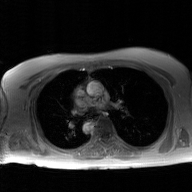
2D phase-contrast cine MRI of the ascending aorta, GAN super-resolution reconstruction.